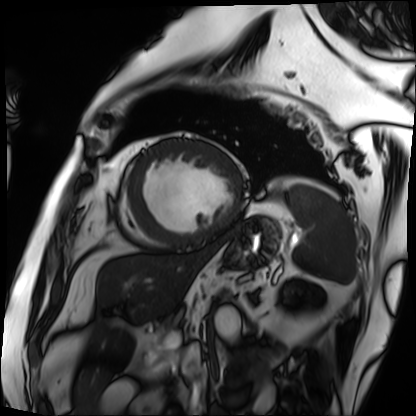
modality=cardiac MRI
subject group=patient